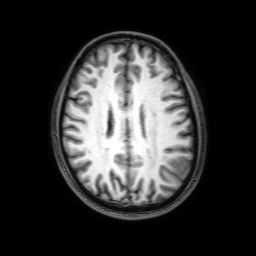
Q: What kind of scan is this?
A: 3 Tesla brain MRI.
Q: Series?
A: 3D T1-weighted with SENSE.
Study: ring-enhancing brain masses.